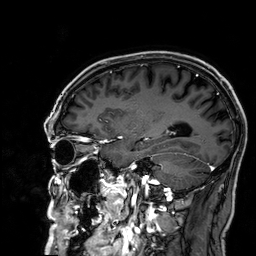
<case>
  <modality>
    <type>brain MRI</type>
    <field_strength>3T</field_strength>
  </modality>
  <series>3D T1-weighted</series>
  <study_topic>ring-enhancing brain masses</study_topic>
</case>